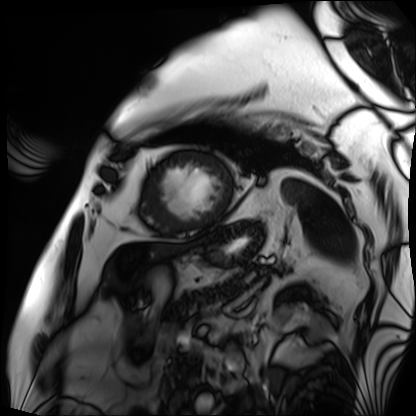
- modality · cardiac MRI
- subject group · patient